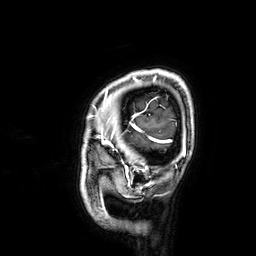
3 Tesla brain MRI.
Series: 3D T1-weighted.
Study: ring-enhancing brain masses.